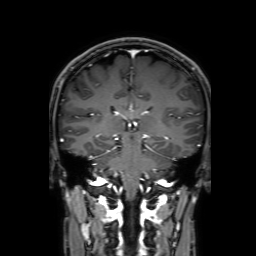
modality = 3 Tesla brain MRI | series = 3D T1-weighted with SENSE | study = ring-enhancing brain masses.